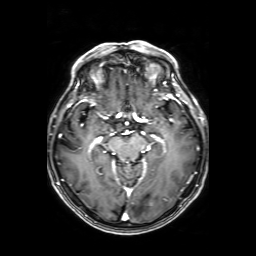
Q: What kind of scan is this?
A: 3 Tesla brain MRI.
Q: Series?
A: Axial T1-weighted fusion image.
Study: ring-enhancing brain masses.